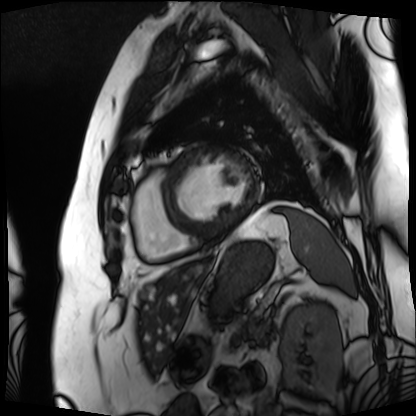
• modality · cardiac MRI
• subject group · patient